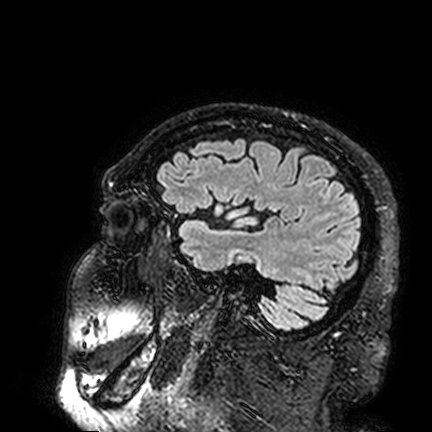
3 Tesla brain MRI.
Study: ring-enhancing brain masses.